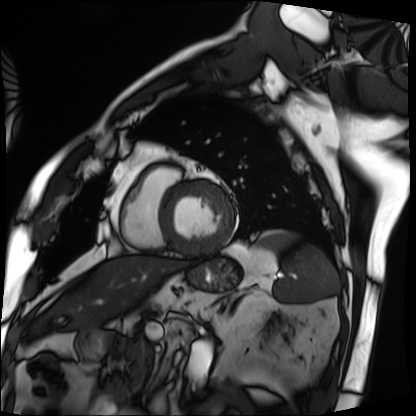
Case summary:
Cardiac MRI. Subject group: patient.